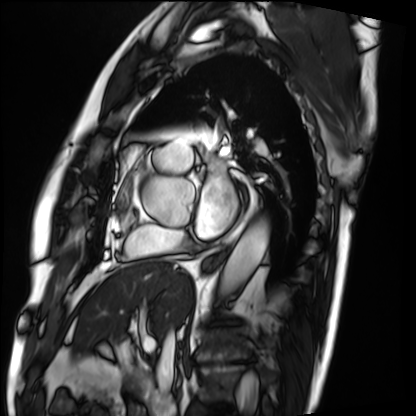
Cardiac MRI.
Subject group: patient.